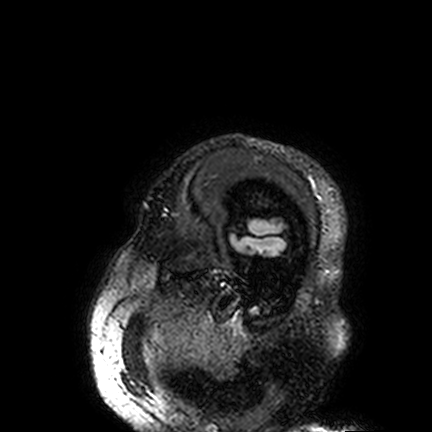
3 Tesla brain MRI. Study: ring-enhancing brain masses.